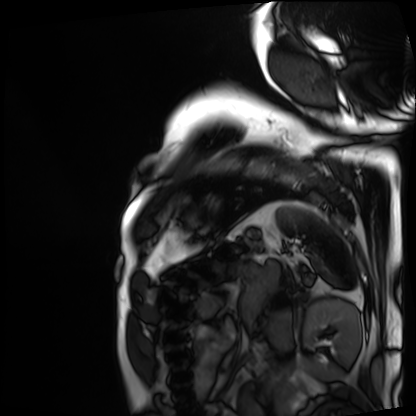
Q: What kind of scan is this?
A: Cardiac MRI.
Subject group: patient.